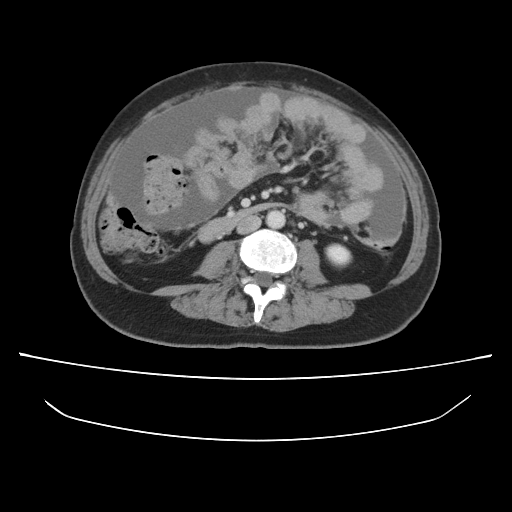
{"modality": {"type": "multiphase abdominal CT", "region": "liver", "phase": "portal venous"}, "patient": {"sex": "female", "age": 57}, "history": ["prior chemotherapy"]}